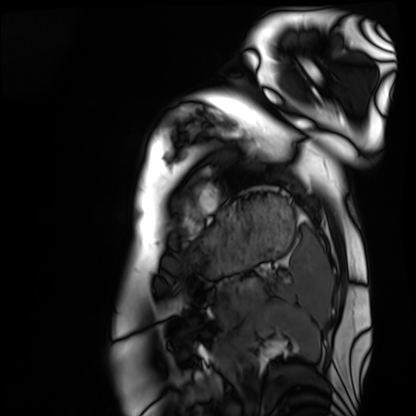
Summary: Cardiac MRI. Subject group: healthy volunteer.